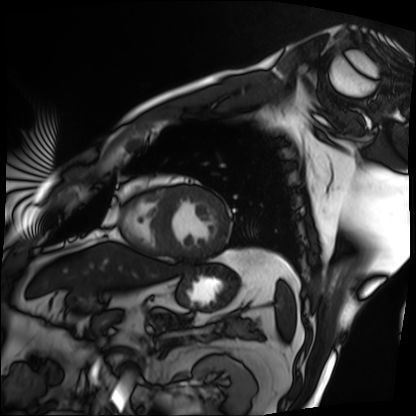
modality: cardiac MRI
subject group: patient